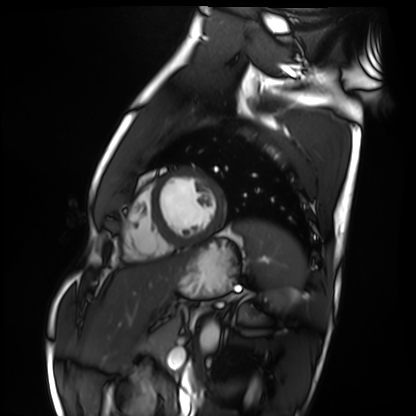
Summary: Cardiac MRI. Subject group: healthy volunteer.